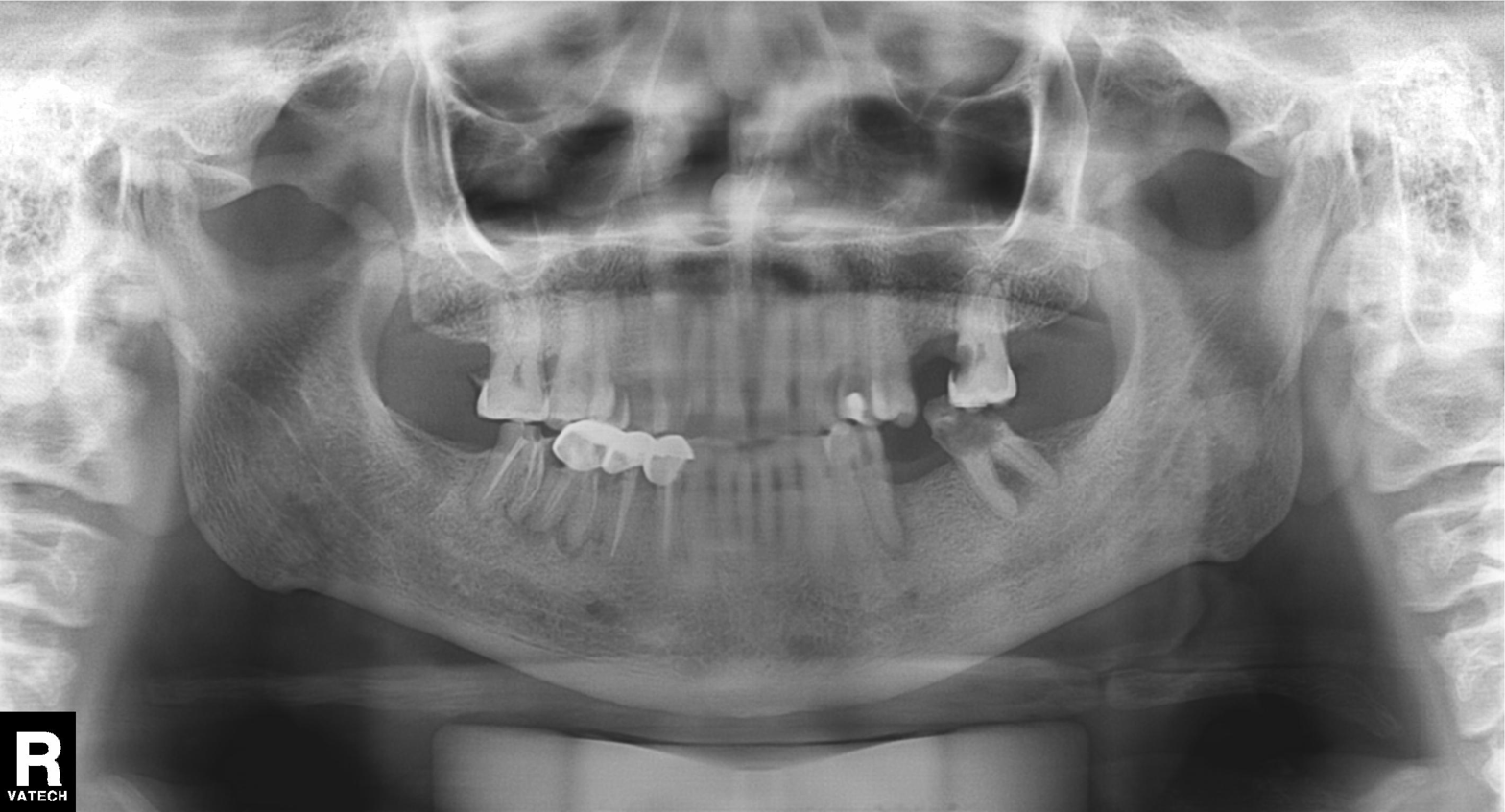
Q: What kind of scan is this?
A: Panoramic dental radiograph (orthopantomogram).
Q: What is the radiographic finding?
A: Alveolar bone loss.